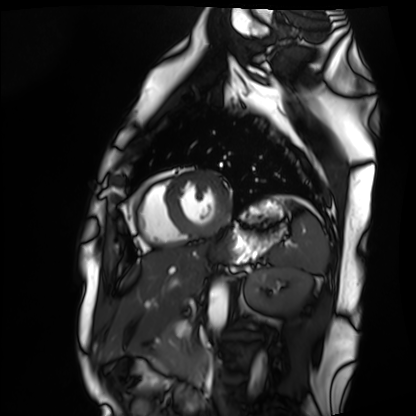
– modality — cardiac MRI
– subject group — healthy volunteer